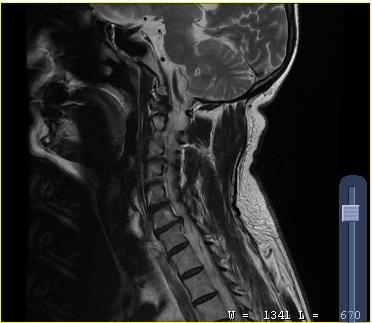
modality = MRI of the cervical spine; study = cervical spondylosis.